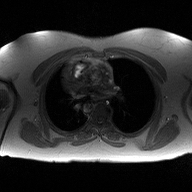
2D phase-contrast cine MRI of the ascending aorta, high-resolution GRAPPA acquisition.